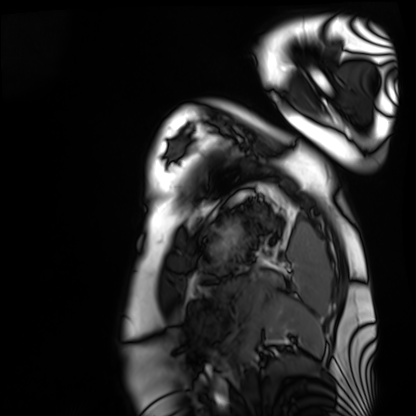
Cardiac MRI. Subject group: healthy volunteer.